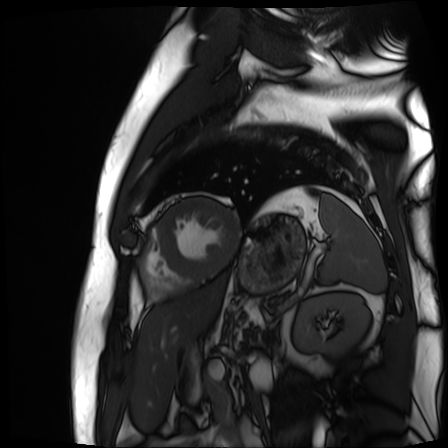
modality=cardiac MR image of the myocardium | subject cohort=cardiac patient.